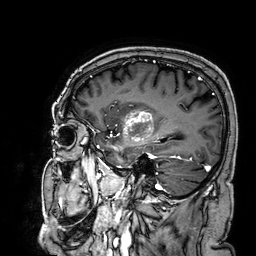
3 Tesla brain MRI. Series: 3D T1-weighted. Study: ring-enhancing brain masses.